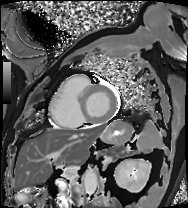
Q: What kind of scan is this?
A: Cardiac MRI.
Subject group: patient.